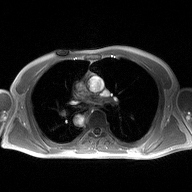
modality: 2D phase-contrast cine MRI of the ascending aorta.